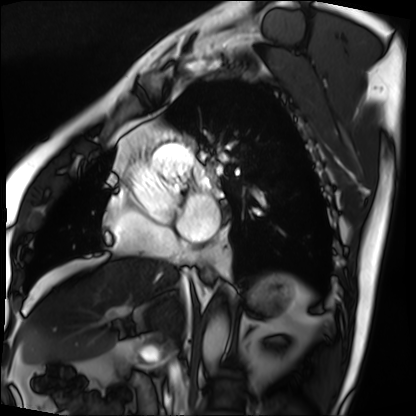
Clinical context: Cardiac MRI. Subject group: patient.